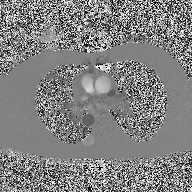
Case summary: 2D phase-contrast cine MRI of the ascending aorta, high-resolution GRAPPA acquisition.